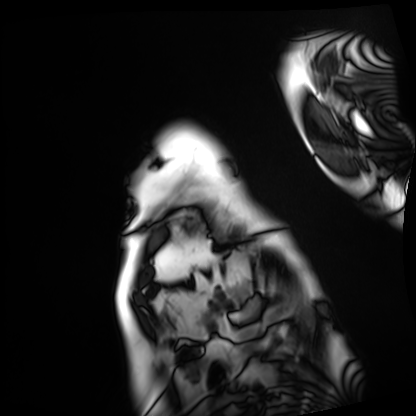
Clinical context:
Cardiac MRI. Subject group: patient.